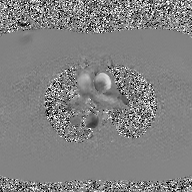
| field | value |
|---|---|
| modality | 2D phase-contrast cine MRI of the ascending aorta, GAN super-resolution reconstruction |